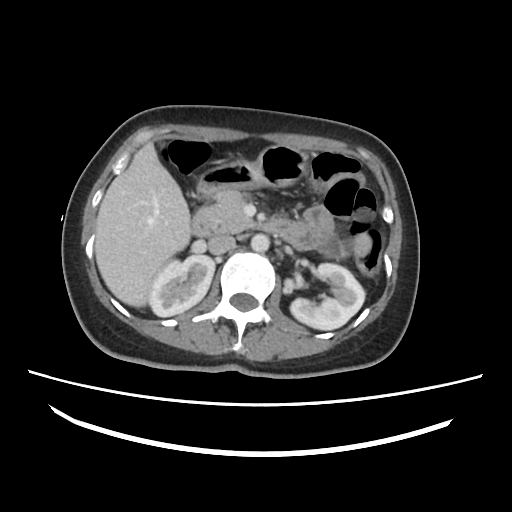
Multiphase abdominal CT, liver, portal venous phase. Patient: female, age 38. History: cirrhosis, viral hepatitis.